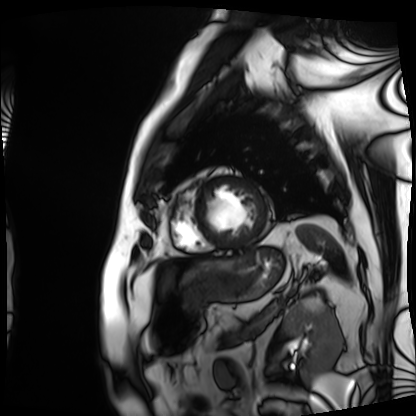
Clinical context:
Cardiac MRI. Subject group: patient.